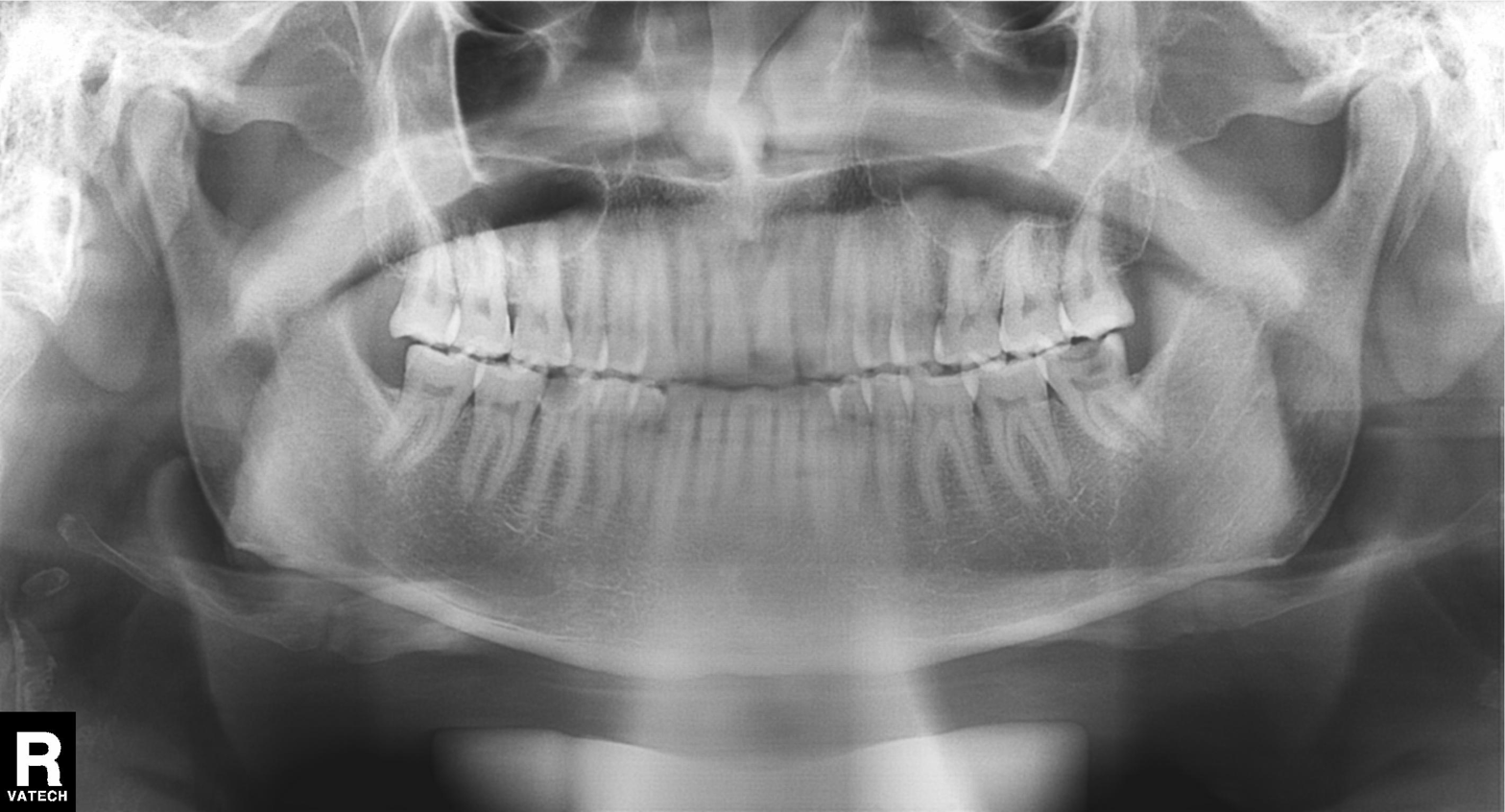
Summary: Panoramic dental radiograph (orthopantomogram).
Diagnosis: Dental caries (cavities).